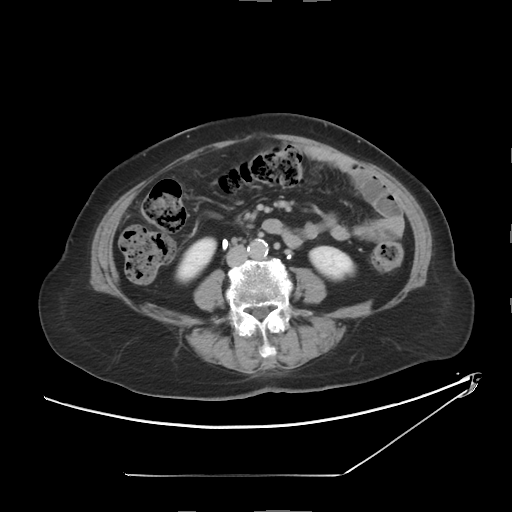
modality — multiphase abdominal CT, liver, delayed phase | patient — female, age 72.